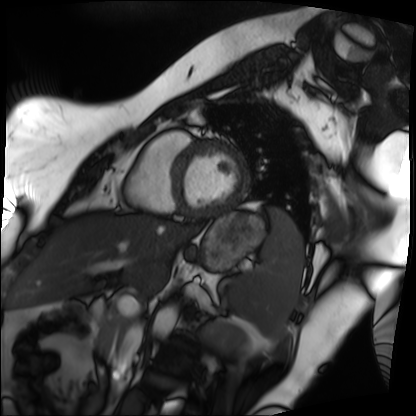
Clinical context:
Cardiac MRI. Subject group: patient.